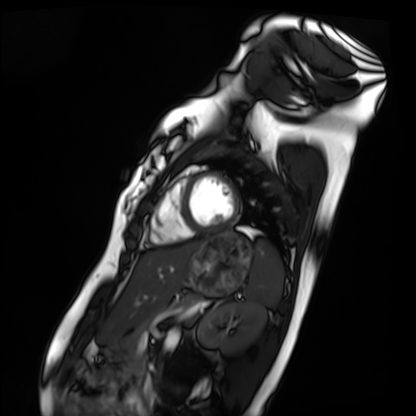
Cardiac MRI. Subject group: healthy volunteer.